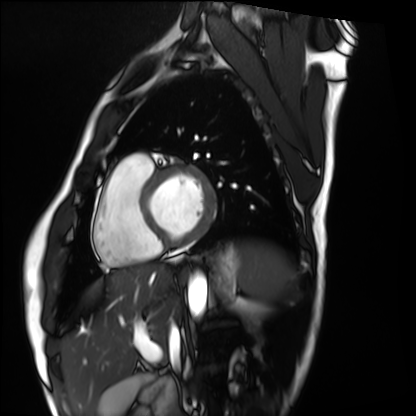
Summary:
Cardiac MRI. Subject group: healthy volunteer.